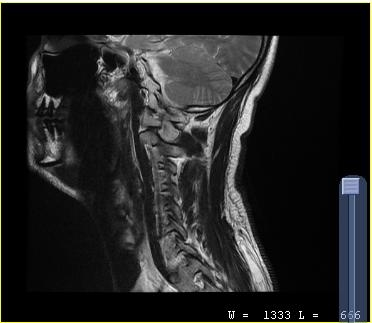
{
  "modality": {
    "type": "cervical spine MRI"
  },
  "study_topic": "cervical spondylosis"
}